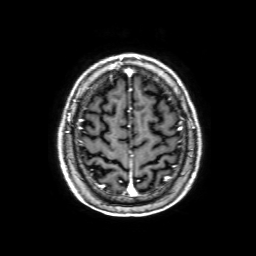
modality = 3 Tesla brain MRI | series = 3D T1-weighted with SENSE | study = ring-enhancing brain masses.